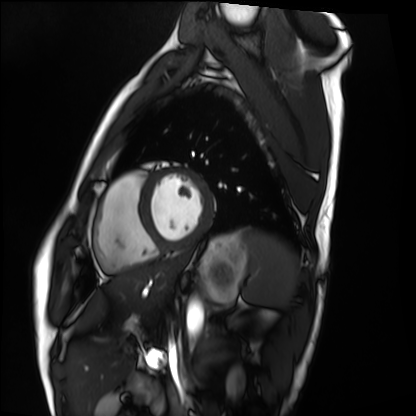
modality: cardiac MRI | subject group: healthy volunteer.